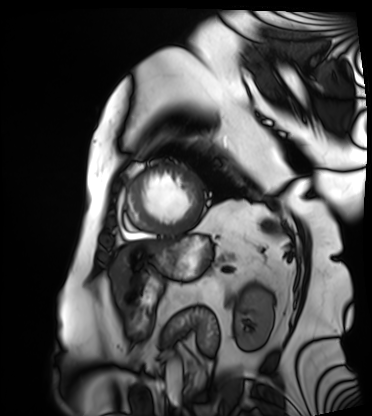
Q: What kind of scan is this?
A: Cardiac MRI.
Subject group: patient.